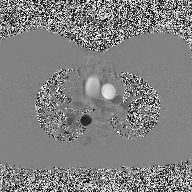
modality = 2D phase-contrast cine MRI of the ascending aorta.